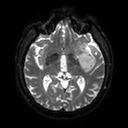
modality = 3 Tesla brain MRI; series = diffusion tensor imaging (medium iso); study = ring-enhancing brain masses.